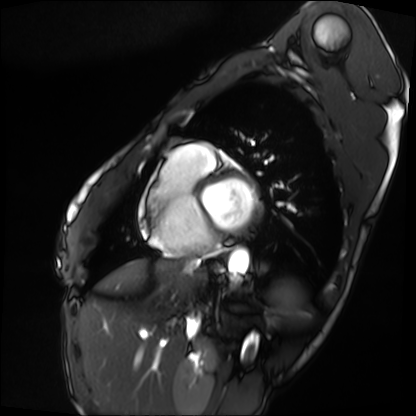
Cardiac MRI. Subject group: patient.